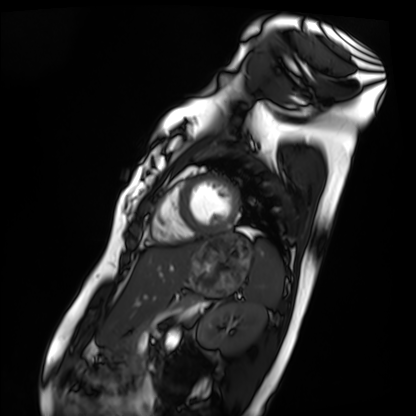
Cardiac MRI. Subject group: healthy volunteer.